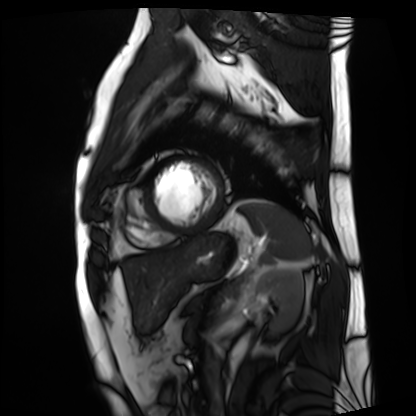
Case summary:
Cardiac MRI. Subject group: patient.